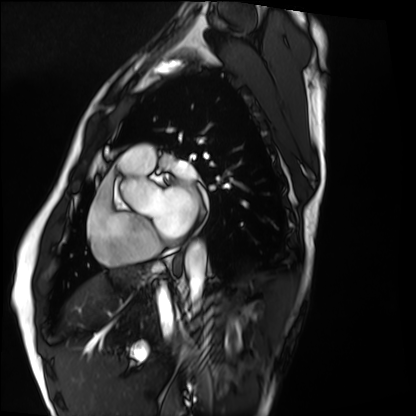
Q: What kind of scan is this?
A: Cardiac MRI.
Subject group: healthy volunteer.